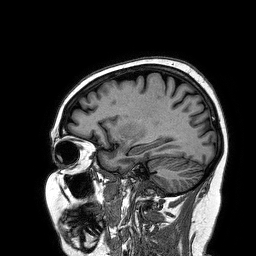
modality:
  type: brain MRI
  field_strength: 3T
series: 3D T1-weighted turbo field echo
study_topic: ring-enhancing brain masses